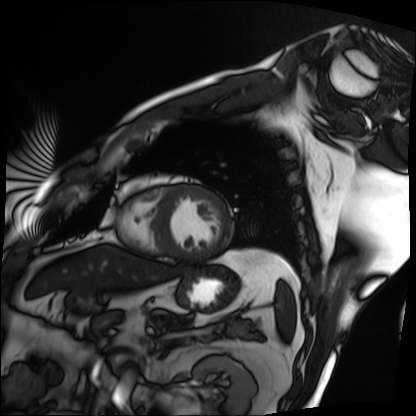
Cardiac MRI. Subject group: patient.